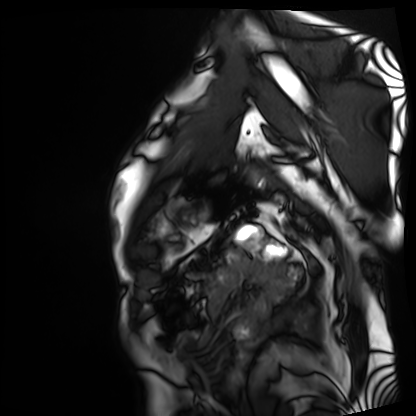
{
  "modality": "cardiac MRI",
  "cohort": "patient"
}